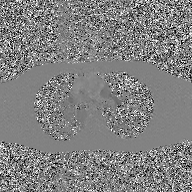
Summary:
2D phase-contrast cine MRI of the ascending aorta, GAN super-resolution reconstruction.